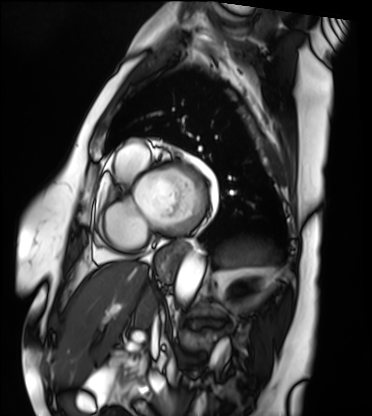
Clinical context: Cardiac MRI. Subject group: patient.